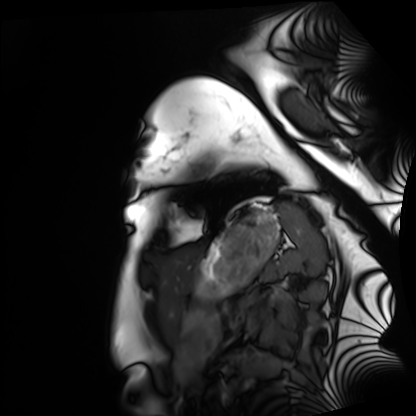
Q: What kind of scan is this?
A: Cardiac MRI.
Subject group: healthy volunteer.